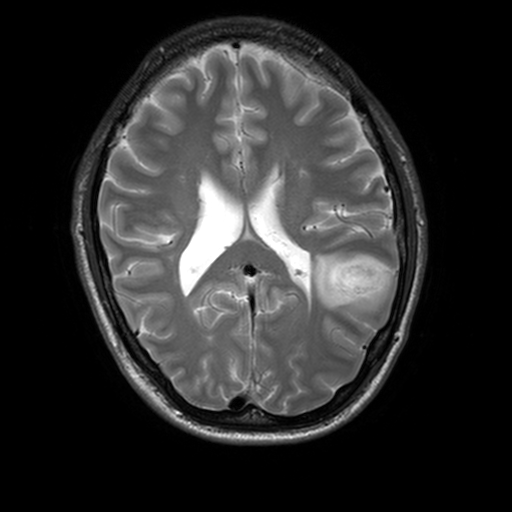
3 Tesla brain MRI.
Series: T2-weighted turbo spin echo, 3 mm.
Study: ring-enhancing brain masses.